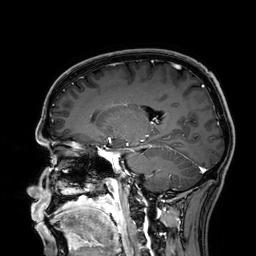
| field | value |
|---|---|
| modality | 3 Tesla brain MRI |
| series | 3D T1-weighted |
| study | ring-enhancing brain masses |